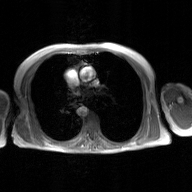
modality = 2D phase-contrast cine MRI of the ascending aorta, GAN super-resolution reconstruction